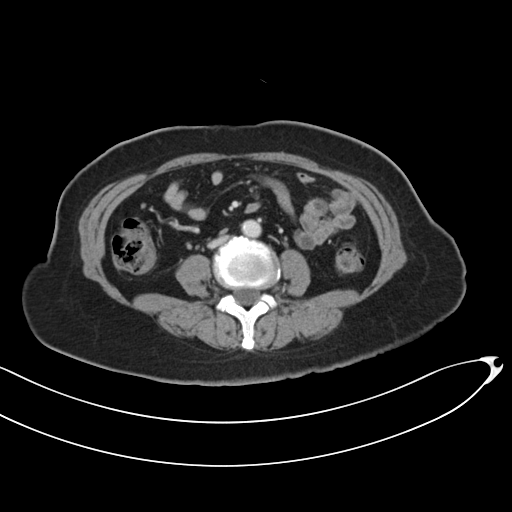
modality: multiphase abdominal CT, liver, portal venous phase